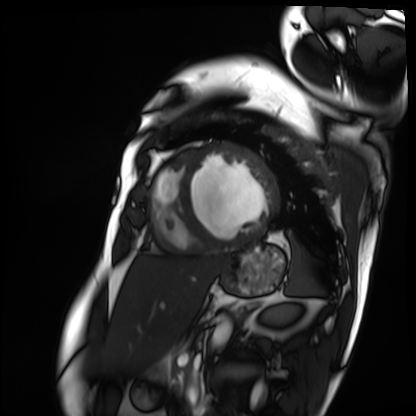
<case>
  <modality>cardiac MRI</modality>
  <cohort>patient</cohort>
</case>